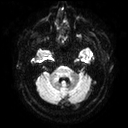
* modality: 3 Tesla brain MRI
* series: diffusion tensor imaging (medium iso)
* study: ring-enhancing brain masses